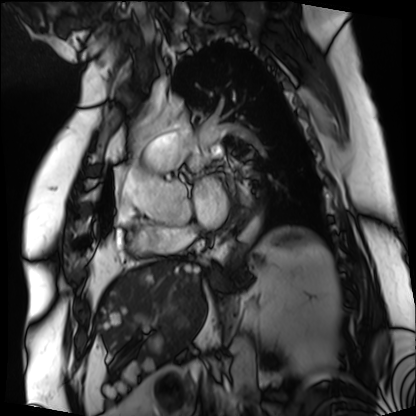
modality: cardiac MRI; subject group: patient.